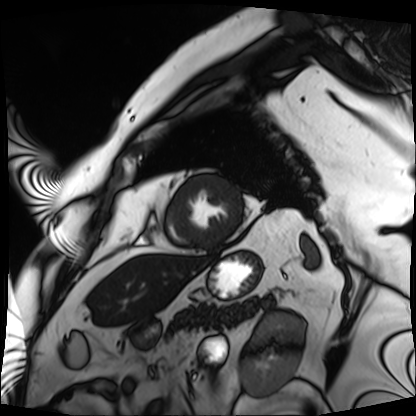
{
  "modality": "cardiac MRI",
  "cohort": "patient"
}